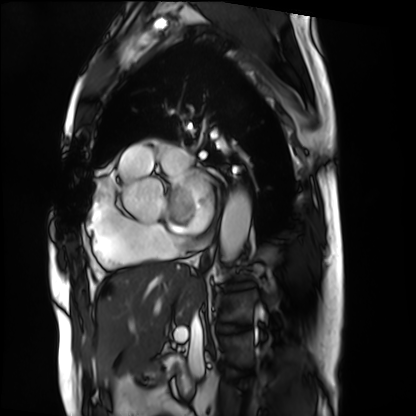
Cardiac MRI.
Subject group: patient.